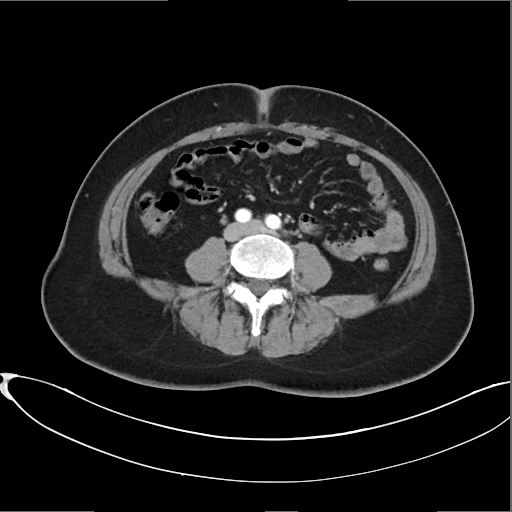
– modality — multiphase abdominal CT, liver, arterial phase
– patient — female, age 45
– history — prior chemotherapy